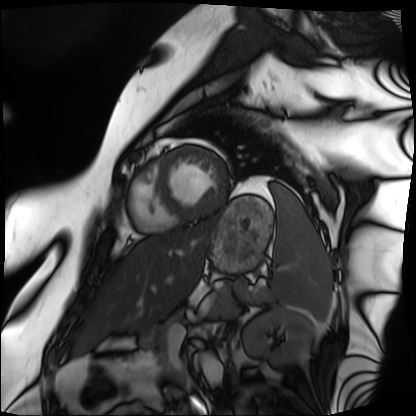
modality = cardiac MRI | subject group = patient.